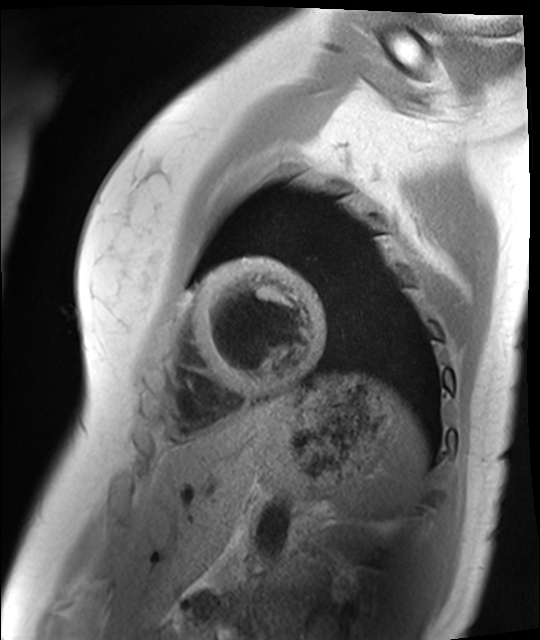
- modality · cardiac MR image of the myocardium
- subject cohort · healthy volunteer